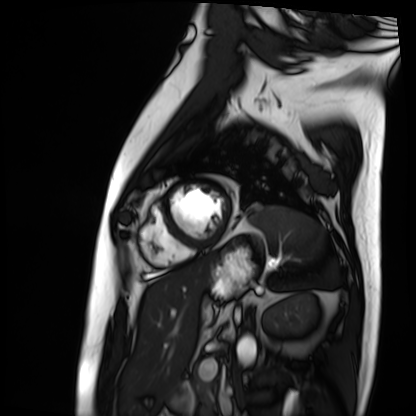
Cardiac MRI. Subject group: patient.